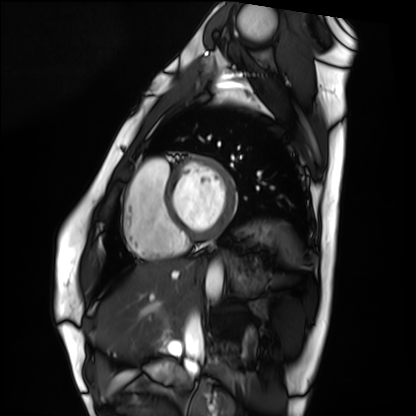
  modality: cardiac MRI
  cohort: healthy volunteer